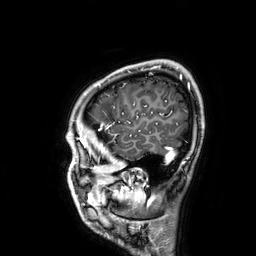
3 Tesla brain MRI.
Series: 3D T1-weighted.
Study: ring-enhancing brain masses.